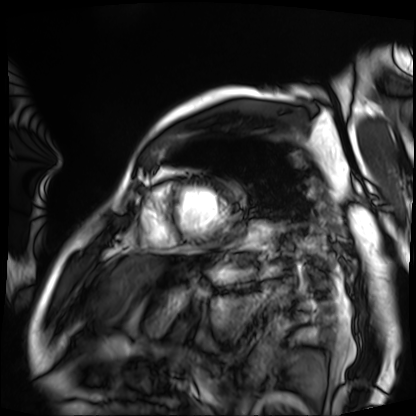
Cardiac MRI. Subject group: patient.